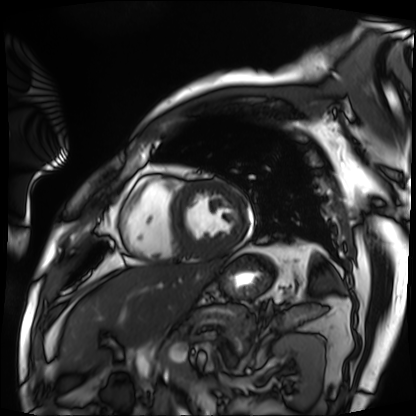
Summary:
Cardiac MRI. Subject group: patient.